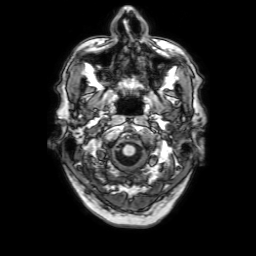
Summary: 3 Tesla brain MRI. Series: 3D T1-weighted with SENSE. Study: ring-enhancing brain masses.